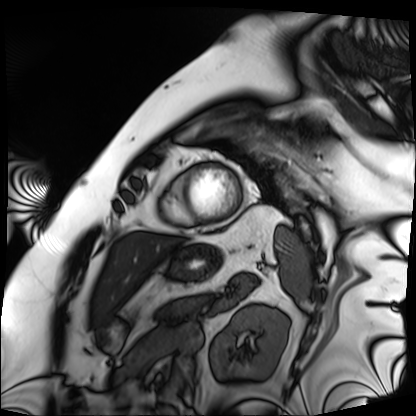
Cardiac MRI.
Subject group: patient.